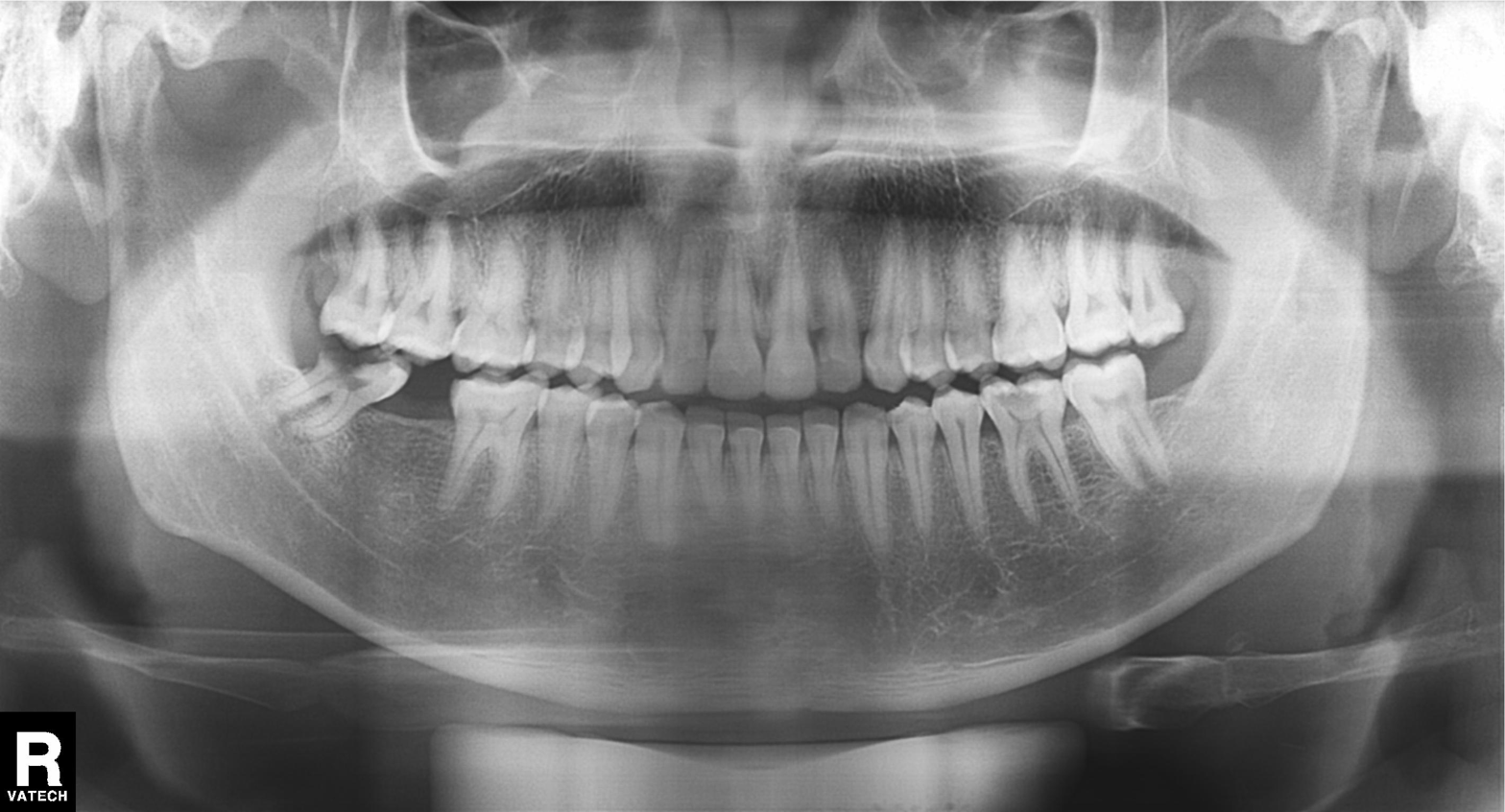
modality: panoramic dental radiograph (orthopantomogram)
finding: alveolar bone loss